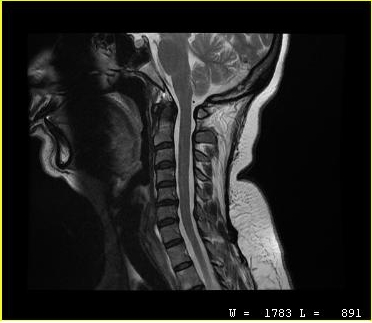
{"modality": {"type": "cervical spine MRI"}, "study_topic": "cervical spondylosis"}